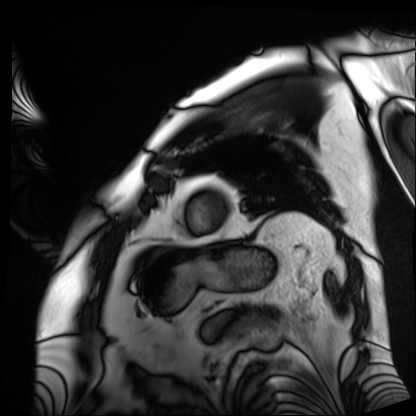
modality: cardiac MRI | subject group: patient.